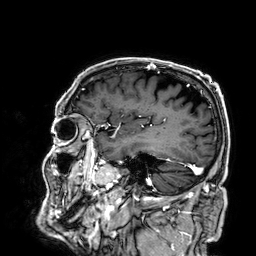
Q: What kind of scan is this?
A: 3 Tesla brain MRI.
Q: Series?
A: 3D T1-weighted.
Study: ring-enhancing brain masses.